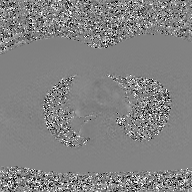
modality: 2D phase-contrast cine MRI of the ascending aorta, GAN super-resolution reconstruction.